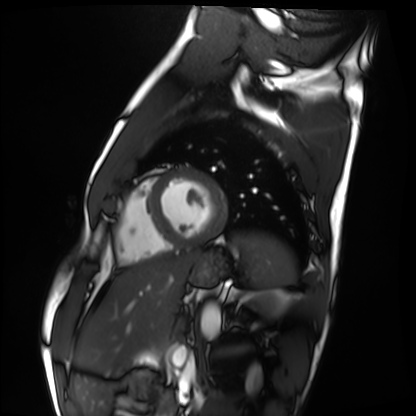
Clinical context: Cardiac MRI. Subject group: healthy volunteer.